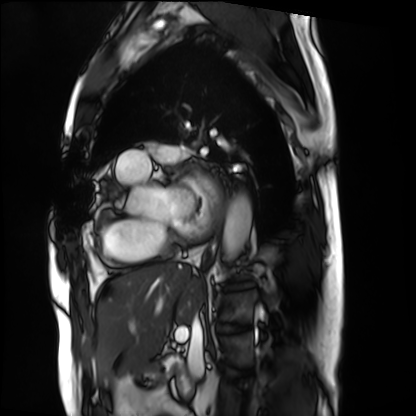
{"modality": "cardiac MRI", "cohort": "patient"}